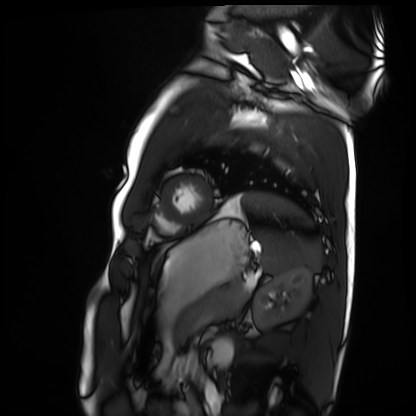
- modality — cardiac MRI
- subject group — healthy volunteer